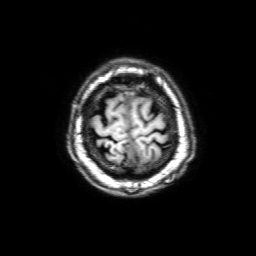
3 Tesla brain MRI. Series: 3D T1-weighted with SENSE. Study: ring-enhancing brain masses.